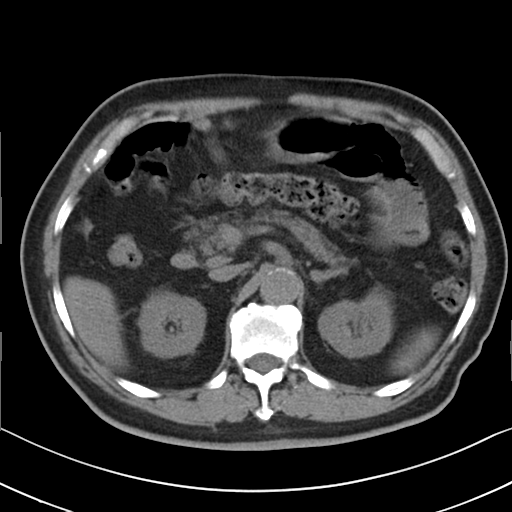
Multiphase abdominal CT, liver, non-contrast phase. Patient: male, age 79.